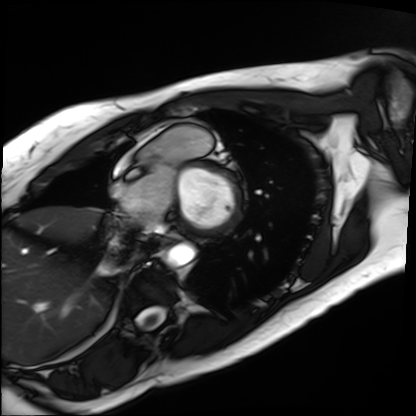
- modality: cardiac MRI
- subject group: patient